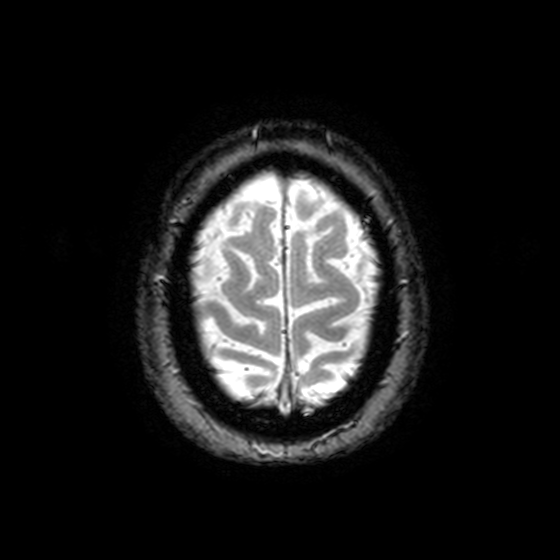
Clinical context: 3 Tesla brain MRI. Series: T2-weighted fast field echo with SENSE. Study: ring-enhancing brain masses.